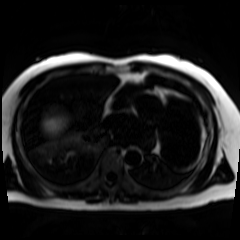
modality: chemical-shift-encoded cardiac MRI.